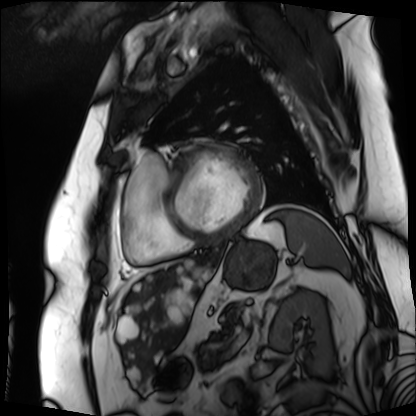
Case summary: Cardiac MRI. Subject group: patient.